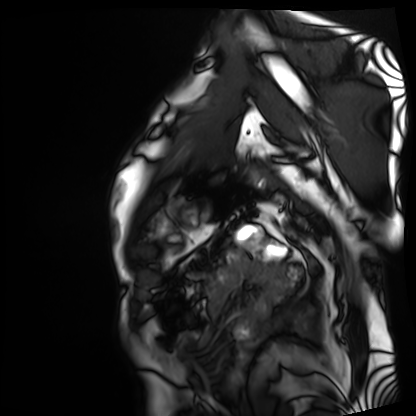
Cardiac MRI.
Subject group: patient.